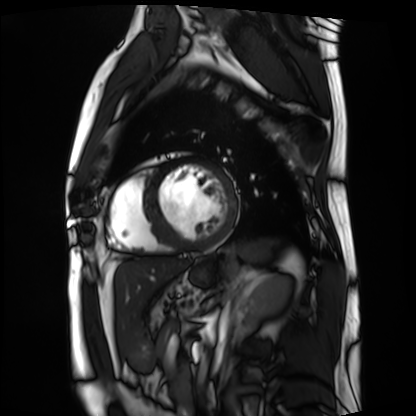
Case summary:
Cardiac MRI. Subject group: patient.